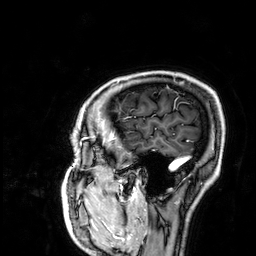
3 Tesla brain MRI. Series: 3D T1-weighted. Study: ring-enhancing brain masses.